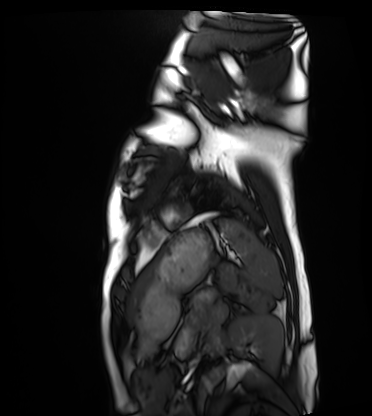
Summary: Cardiac MRI. Subject group: healthy volunteer.